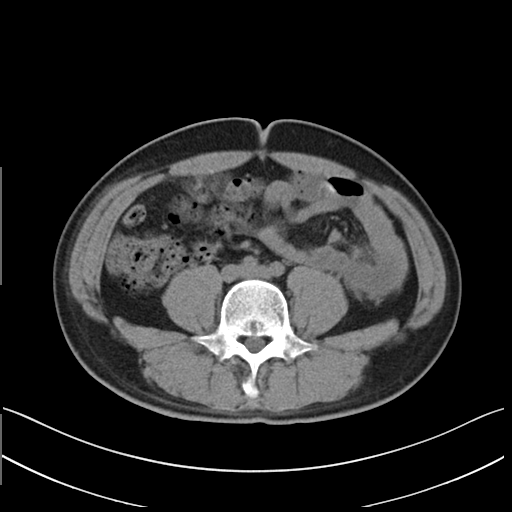
modality: multiphase abdominal CT, liver, non-contrast phase | patient: male, age 32.